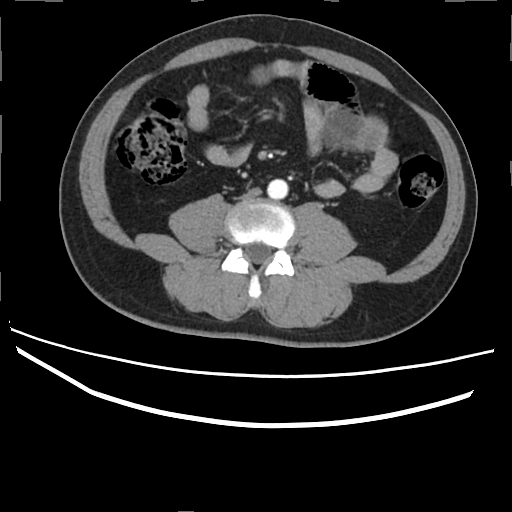
Case summary: Multiphase abdominal CT, liver, arterial phase. Patient: male, age 45. History: prior chemotherapy.